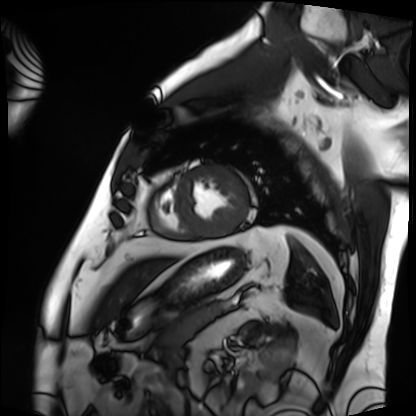
Cardiac MRI.
Subject group: patient.